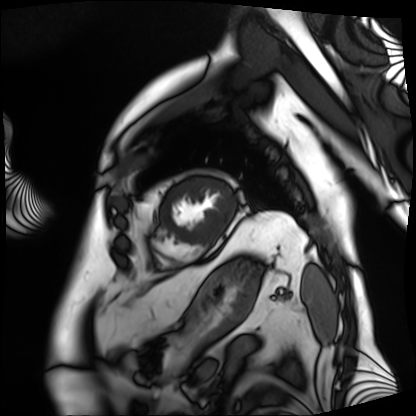
Summary:
Cardiac MRI. Subject group: patient.